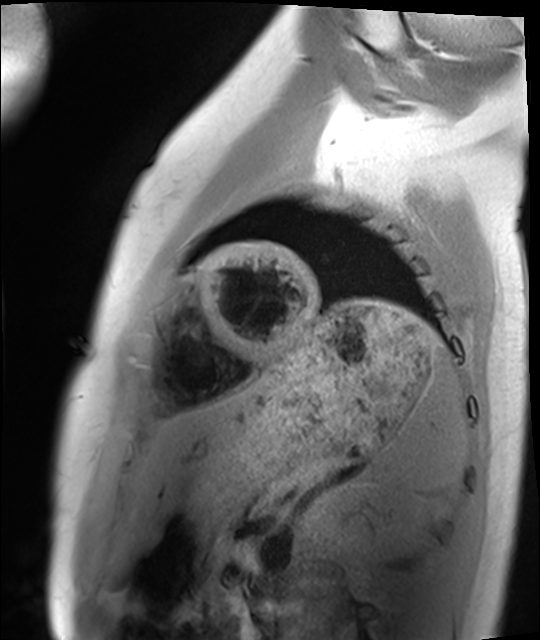
– modality: cardiac MRI
– subject group: healthy volunteer